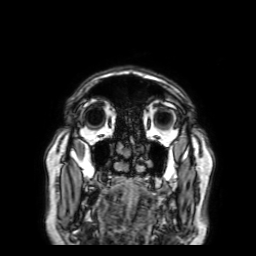
Case summary: 3 Tesla brain MRI. Series: 3D T1-weighted with SENSE. Study: ring-enhancing brain masses.